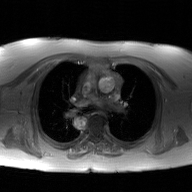
Case summary: 2D phase-contrast cine MRI of the ascending aorta, GAN super-resolution reconstruction.